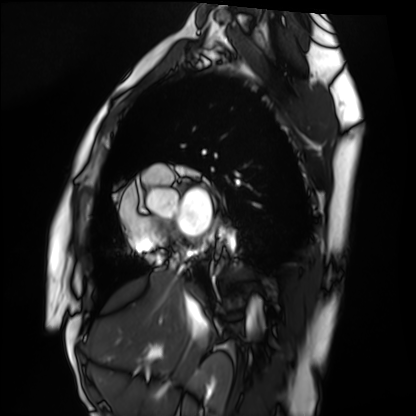
{"modality": "cardiac MRI", "cohort": "healthy volunteer"}